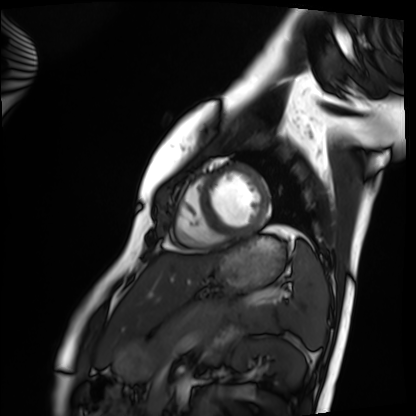
* modality: cardiac MRI
* subject group: healthy volunteer